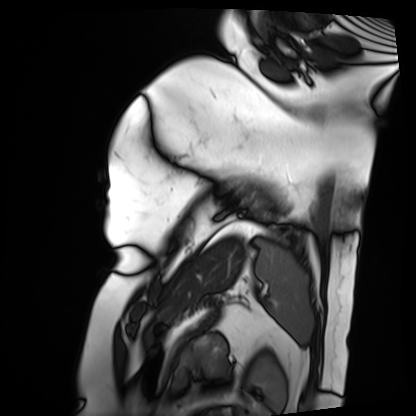
Case:
* modality — cardiac MRI
* subject group — patient